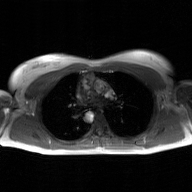
2D phase-contrast cine MRI of the ascending aorta, GAN super-resolution reconstruction.